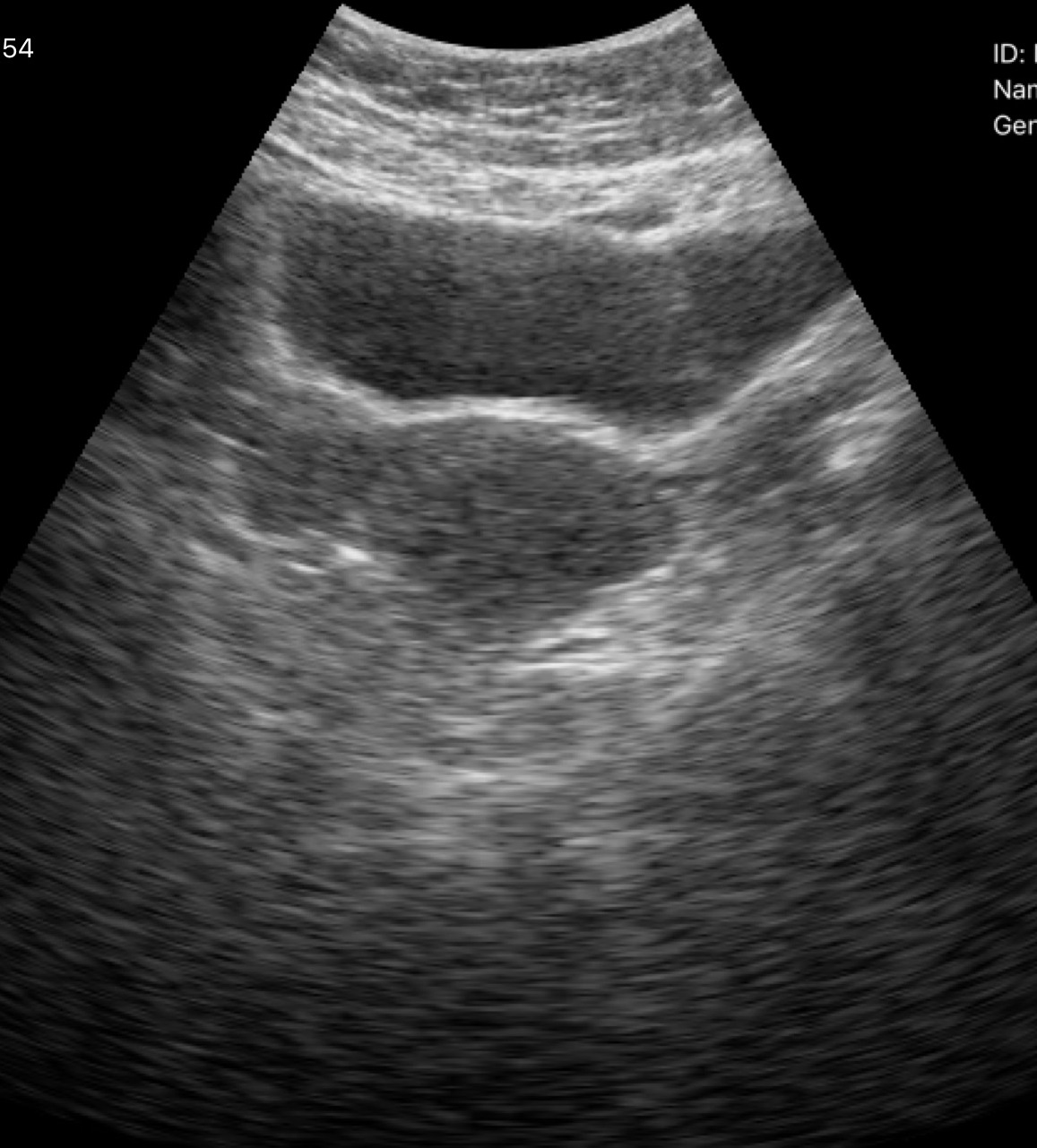
Q: What kind of scan is this?
A: Genitourinary ultrasound.